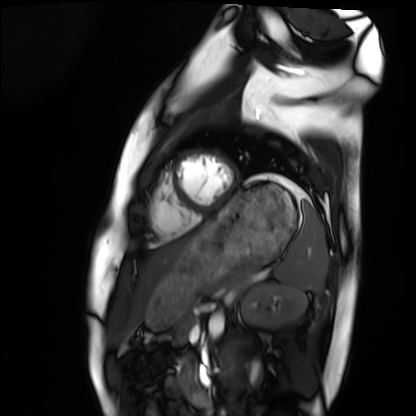
Cardiac MRI. Subject group: healthy volunteer.